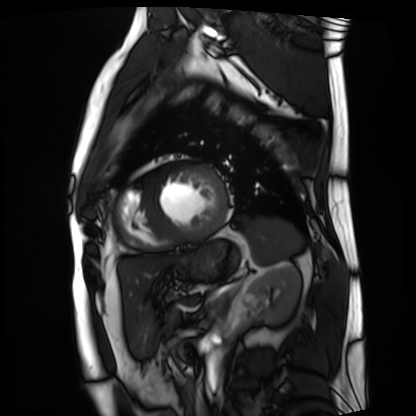
modality: cardiac MRI | subject group: patient.